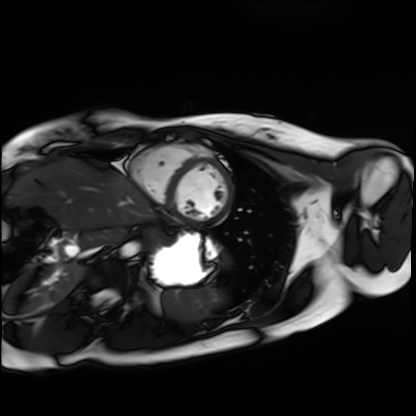
Cardiac MRI. Subject group: healthy volunteer.